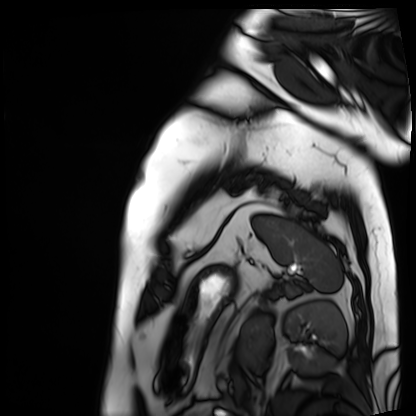
Case:
- modality · cardiac MRI
- subject group · patient